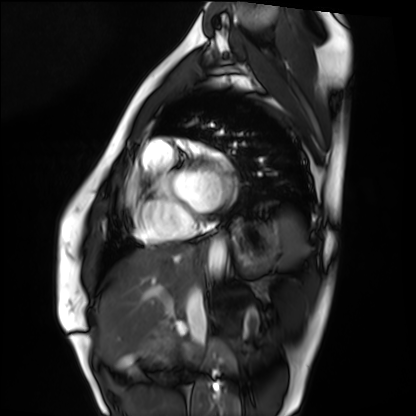
Case:
- modality · cardiac MRI
- subject group · healthy volunteer